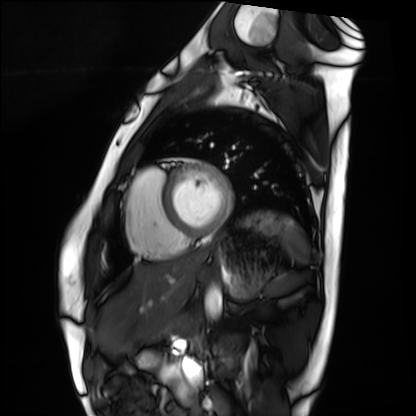
Cardiac MRI. Subject group: healthy volunteer.